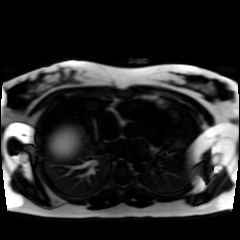
Chemical-shift-encoded cardiac MRI.